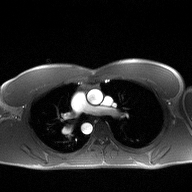
modality: 2D phase-contrast cine MRI of the ascending aorta